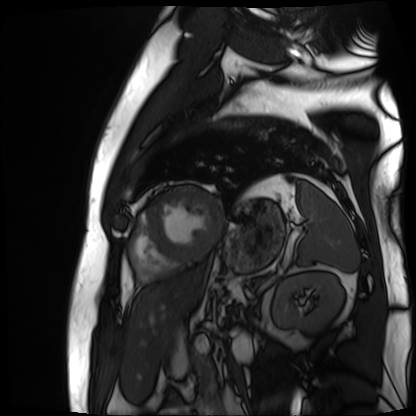
{
  "modality": "cardiac MR image of the myocardium",
  "cohort": "cardiac patient"
}